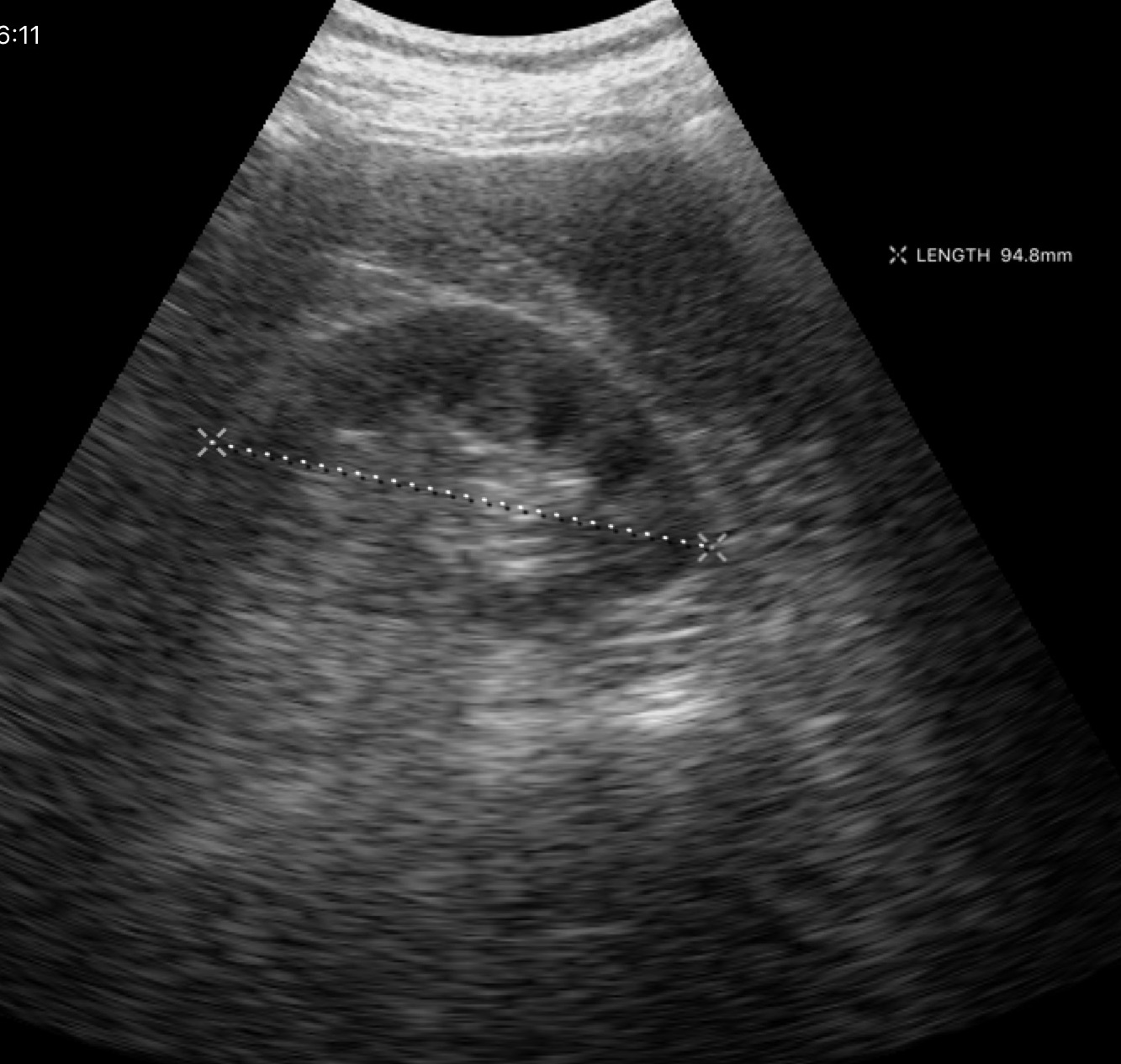
Genitourinary ultrasound.